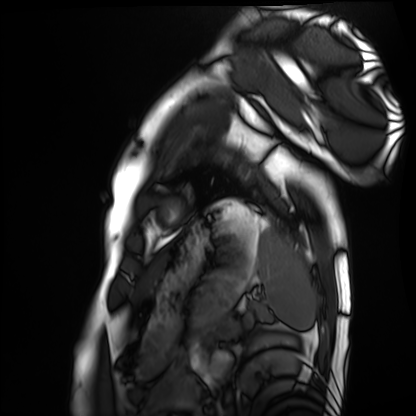
- modality · cardiac MRI
- subject group · healthy volunteer